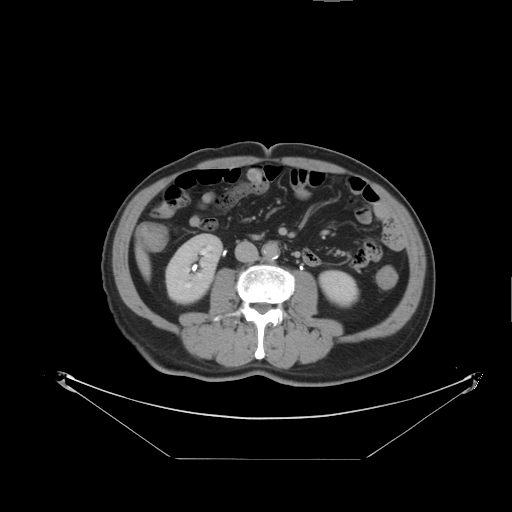
Q: What kind of scan is this?
A: Multiphase abdominal CT, liver, delayed phase.
Q: Patient?
A: Male, age 64.
Q: History?
A: Prior chemotherapy.